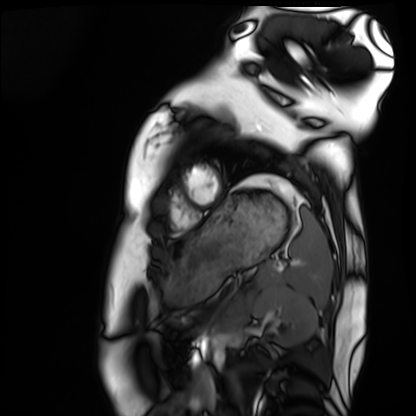
Case summary: Cardiac MRI. Subject group: healthy volunteer.